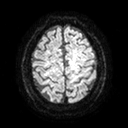
3 Tesla brain MRI.
Series: diffusion tensor imaging (medium iso).
Study: ring-enhancing brain masses.